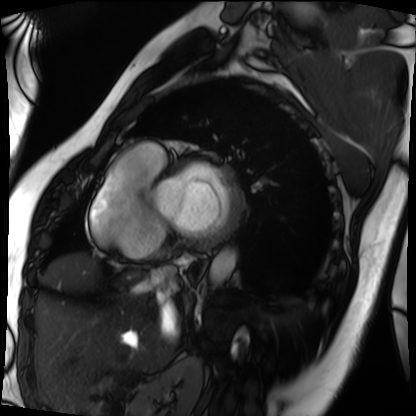
Cardiac MRI. Subject group: patient.